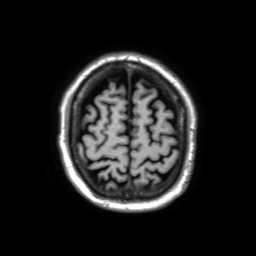
Case summary: 3 Tesla brain MRI. Study: ring-enhancing brain masses.